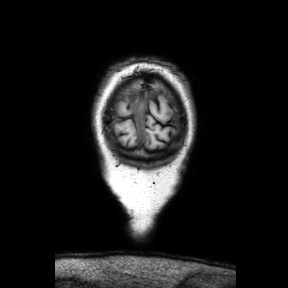
Clinical context: 3 Tesla brain MRI. Study: ring-enhancing brain masses.